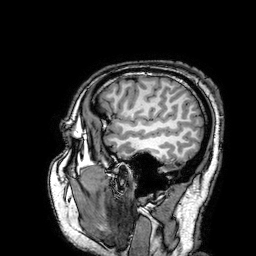
3 Tesla brain MRI.
Series: 3D T1-weighted turbo field echo with SENSE.
Study: ring-enhancing brain masses.